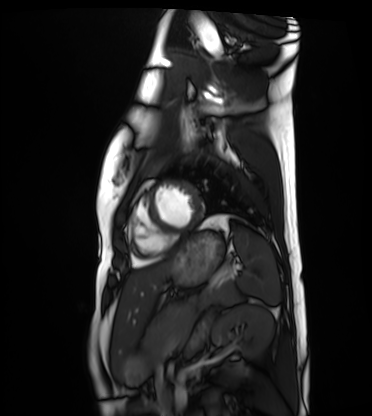
Summary:
Cardiac MRI. Subject group: healthy volunteer.